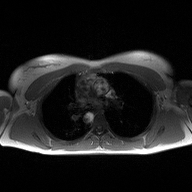
| field | value |
|---|---|
| modality | 2D phase-contrast cine MRI of the ascending aorta |